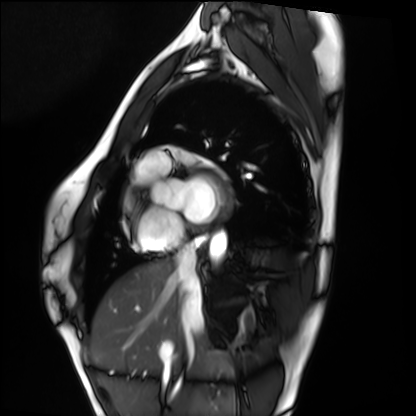
Cardiac MRI. Subject group: healthy volunteer.